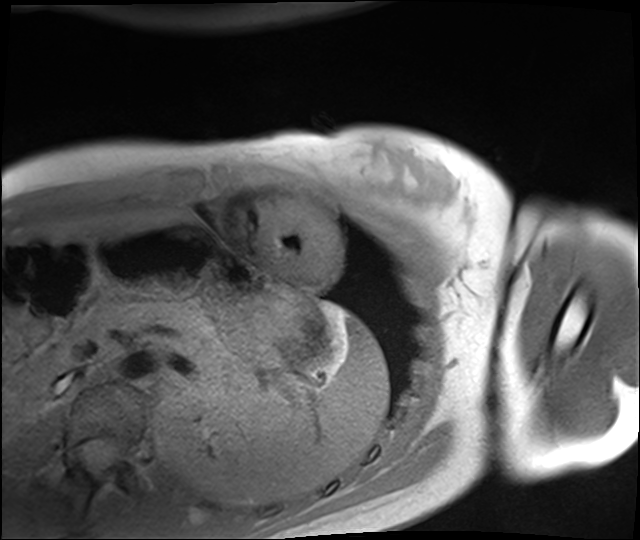
Cardiac MRI. Subject group: healthy volunteer.